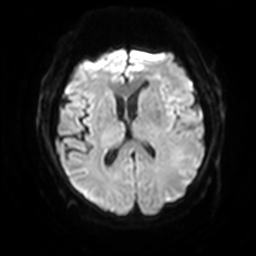
modality=3 Tesla brain MRI | series=diffusion-weighted imaging with SENSE (WIP) | study=ring-enhancing brain masses.